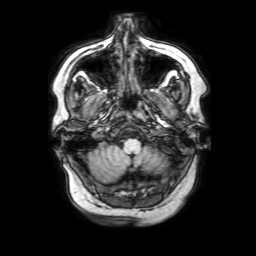
Summary:
3 Tesla brain MRI. Study: ring-enhancing brain masses.